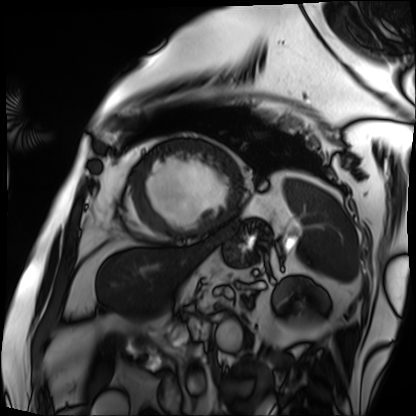
Cardiac MRI. Subject group: patient.